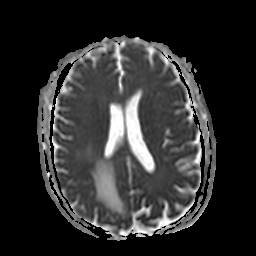
modality = 3 Tesla brain MRI
series = apparent diffusion coefficient (ADC) map
study = ring-enhancing brain masses